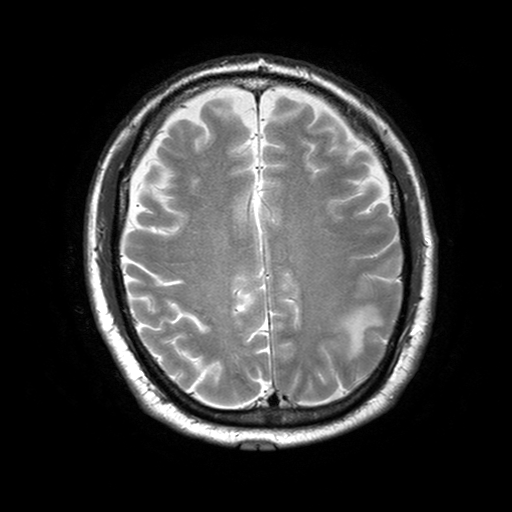
modality — 3 Tesla brain MRI
series — T2-weighted turbo spin echo with SENSE
study — ring-enhancing brain masses